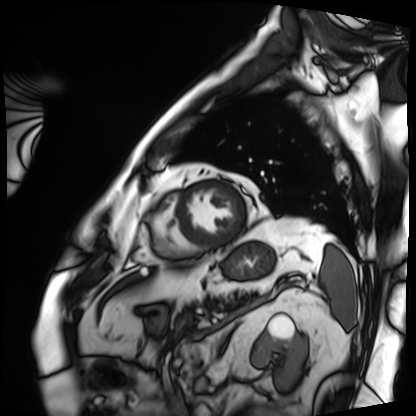
Cardiac MRI. Subject group: patient.